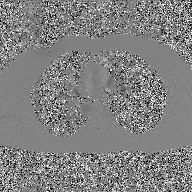
modality: 2D phase-contrast cine MRI of the ascending aorta, GAN super-resolution reconstruction.